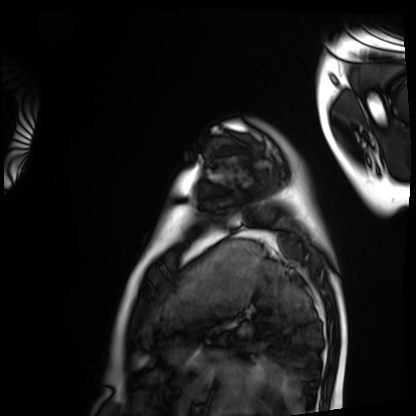
- modality: cardiac MRI
- subject group: healthy volunteer